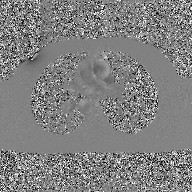
Case:
- modality: 2D phase-contrast cine MRI of the ascending aorta, GAN super-resolution reconstruction